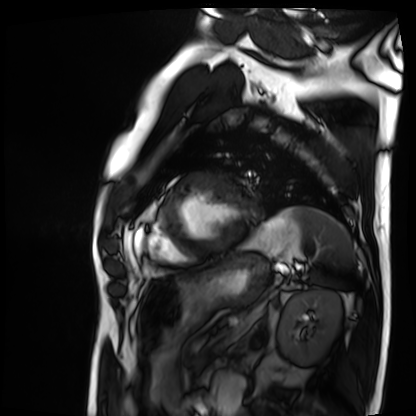
modality: cardiac MRI
cohort: patient